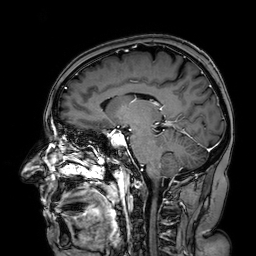
{"modality": {"type": "brain MRI", "field_strength": "3T"}, "series": "3D T1-weighted turbo field echo with SENSE", "study_topic": "ring-enhancing brain masses"}